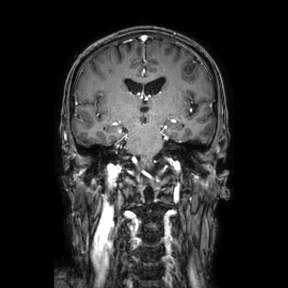
3 Tesla brain MRI. Series: coronal. Study: ring-enhancing brain masses.